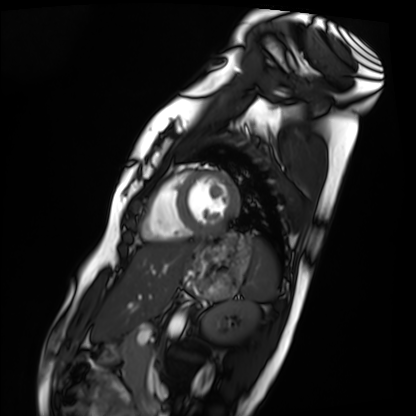
Q: What kind of scan is this?
A: Cardiac MRI.
Subject group: healthy volunteer.